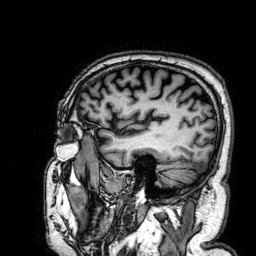
modality: 3 Tesla brain MRI; series: 3D T1-weighted; study: ring-enhancing brain masses.